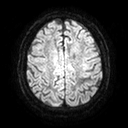
* modality · 3 Tesla brain MRI
* series · diffusion tensor imaging (medium iso)
* study · ring-enhancing brain masses